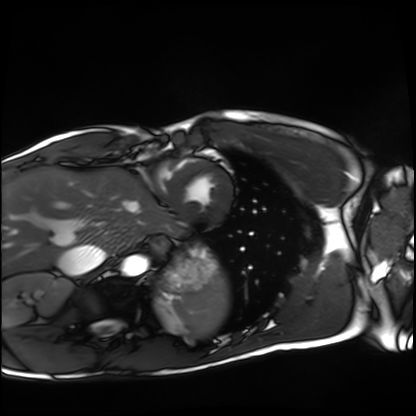
Q: What kind of scan is this?
A: Cardiac MRI.
Subject group: healthy volunteer.